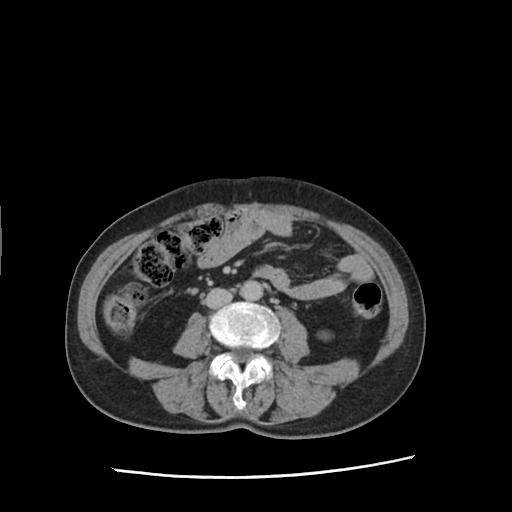
modality:
  type: multiphase abdominal CT
  region: liver
  phase: delayed
patient:
  sex: female
  age: 71